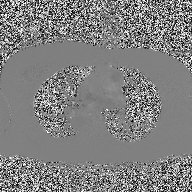
modality=2D phase-contrast cine MRI of the ascending aorta